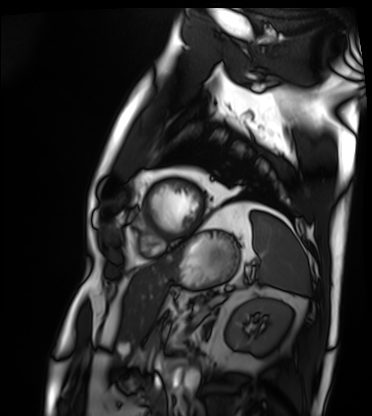
modality: cardiac MRI | subject group: patient.